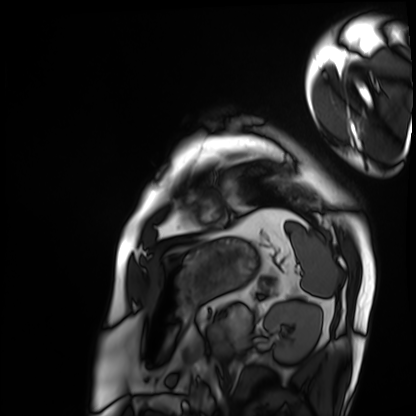
Q: What kind of scan is this?
A: Cardiac MRI.
Subject group: patient.